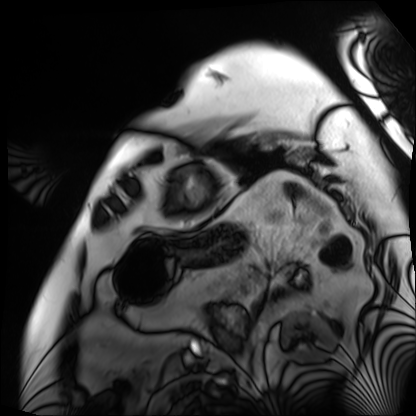
Q: What kind of scan is this?
A: Cardiac MRI.
Subject group: patient.